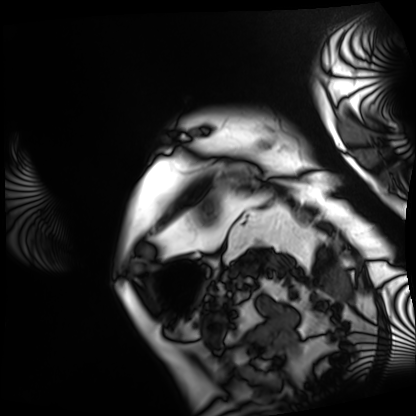
Case summary:
Cardiac MRI. Subject group: patient.